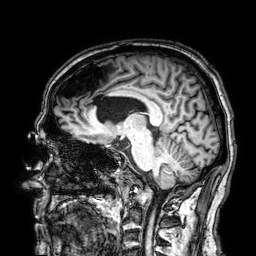
3 Tesla brain MRI.
Study: ring-enhancing brain masses.